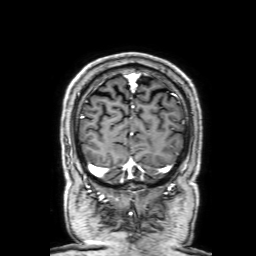
modality = 3 Tesla brain MRI; series = 3D T1-weighted with SENSE; study = ring-enhancing brain masses.